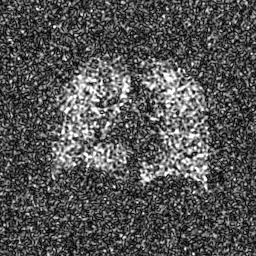
Hyperpolarized 129Xe ventilation MRI of the lungs.
SNR level 7 of 8 (the deposit holds this scan as its native image and as seven SNR-degraded versions).